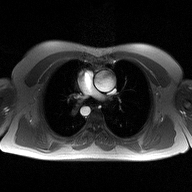
modality: 2D phase-contrast cine MRI of the ascending aorta.